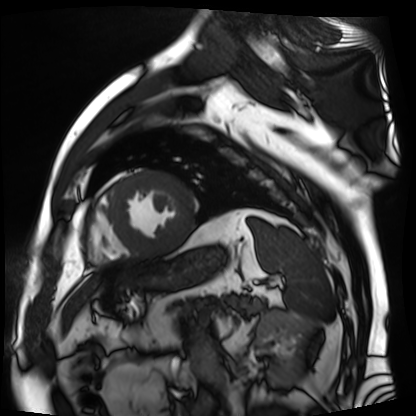
Cardiac MR image of the myocardium. Subject cohort: cardiac patient.